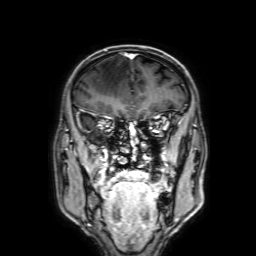
<scan>
  <modality>
    <type>brain MRI</type>
    <field_strength>3T</field_strength>
  </modality>
  <series>3D T1-weighted with SENSE</series>
  <study_topic>ring-enhancing brain masses</study_topic>
</scan>